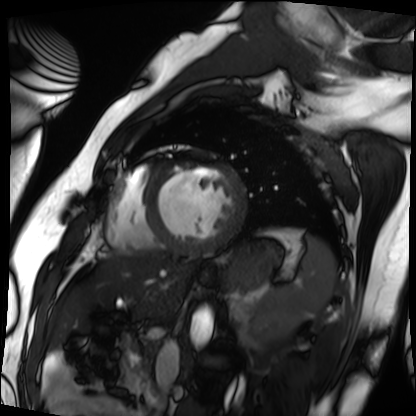
  modality: cardiac MRI
  cohort: patient